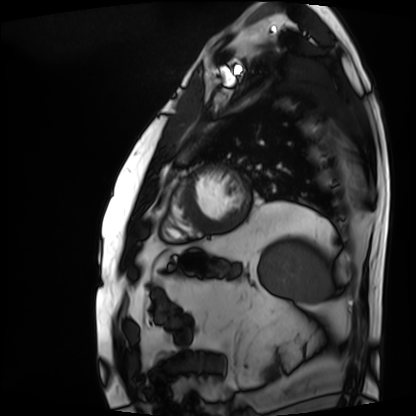
<case>
<modality>cardiac MRI</modality>
<cohort>patient</cohort>
</case>